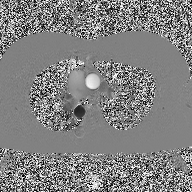
Case summary: 2D phase-contrast cine MRI of the ascending aorta, high-resolution GRAPPA acquisition.